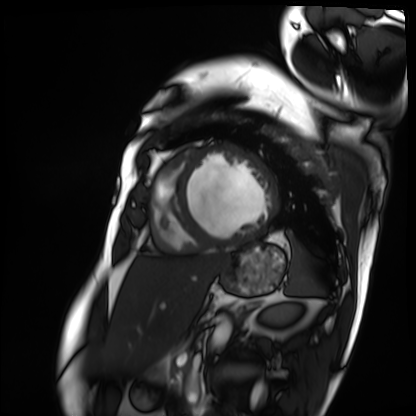
  modality: cardiac MRI
  cohort: patient